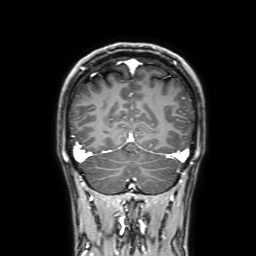
{
  "modality": {
    "type": "brain MRI",
    "field_strength": "3T"
  },
  "study_topic": "ring-enhancing brain masses"
}